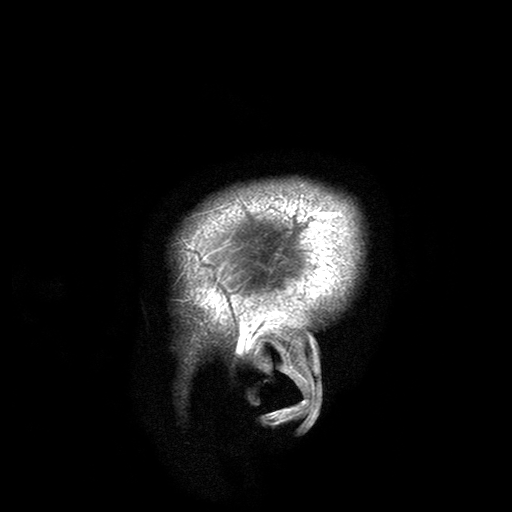
  modality:
    type: brain MRI
    field_strength: 3T
  series: T2-weighted turbo spin echo with SENSE
  study_topic: ring-enhancing brain masses